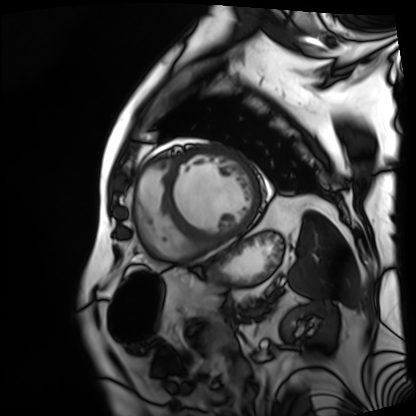
modality: cardiac MRI
cohort: patient